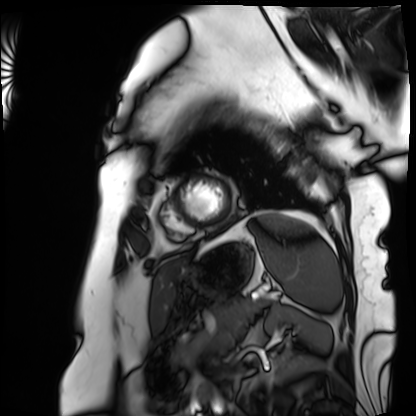
{
  "modality": "cardiac MRI",
  "cohort": "patient"
}